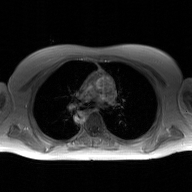
modality: 2D phase-contrast cine MRI of the ascending aorta, GAN super-resolution reconstruction.